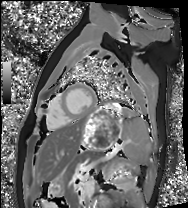
Cardiac MRI. Subject group: healthy volunteer.